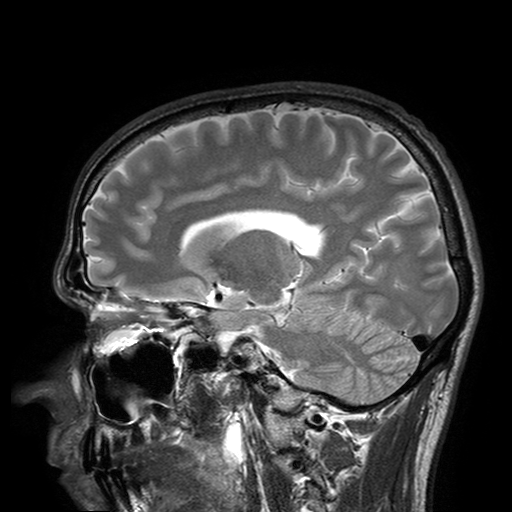
Case:
- modality: 3 Tesla brain MRI
- series: T2-weighted turbo spin echo with SENSE
- study: ring-enhancing brain masses